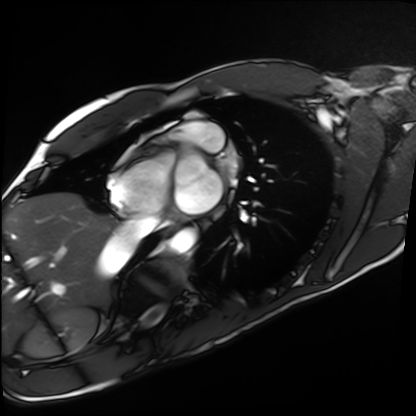
modality: cardiac MRI | subject group: healthy volunteer.